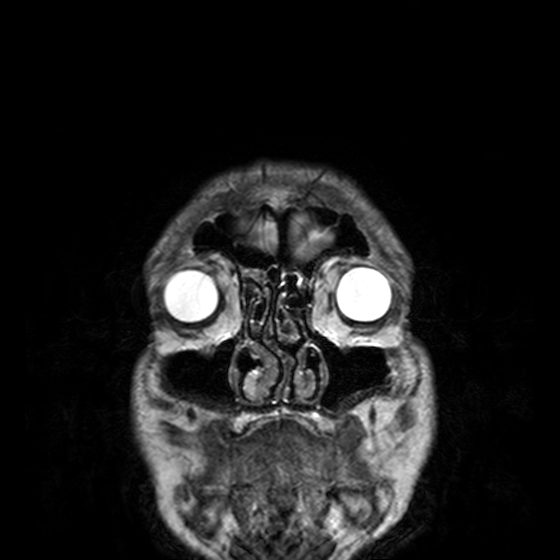
Summary: 3 Tesla brain MRI. Series: T2-weighted turbo spin echo, 3 mm. Study: ring-enhancing brain masses.